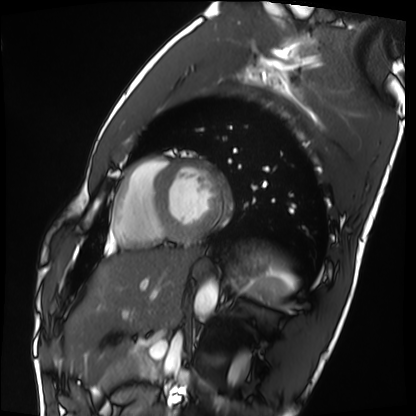
Q: What kind of scan is this?
A: Cardiac MRI.
Subject group: healthy volunteer.